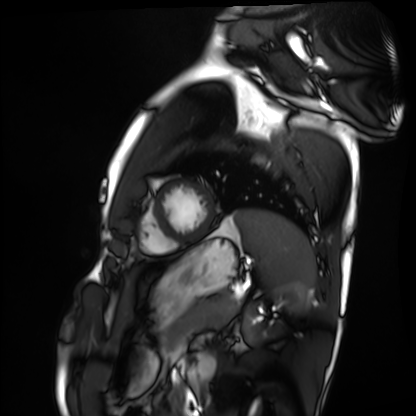
modality = cardiac MRI, subject group = healthy volunteer.